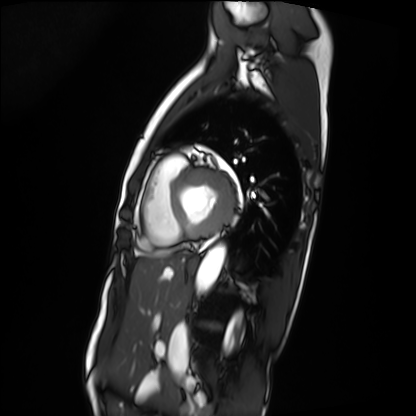
Case summary: Cardiac MRI. Subject group: patient.